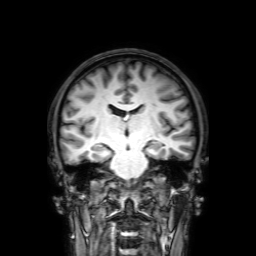
Summary: 3 Tesla brain MRI. Series: 3D T1-weighted with SENSE. Study: ring-enhancing brain masses.